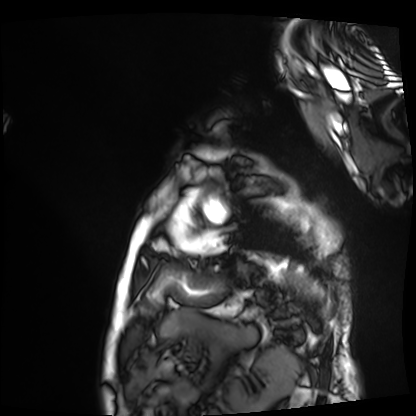
<case>
<modality>cardiac MRI</modality>
<cohort>patient</cohort>
</case>